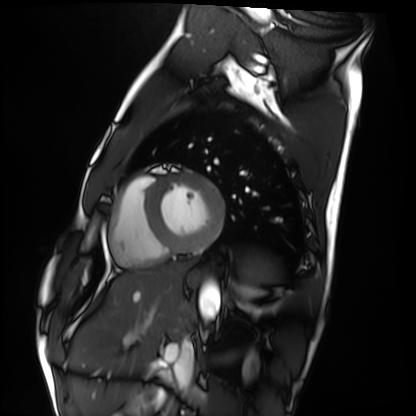
Cardiac MRI. Subject group: healthy volunteer.